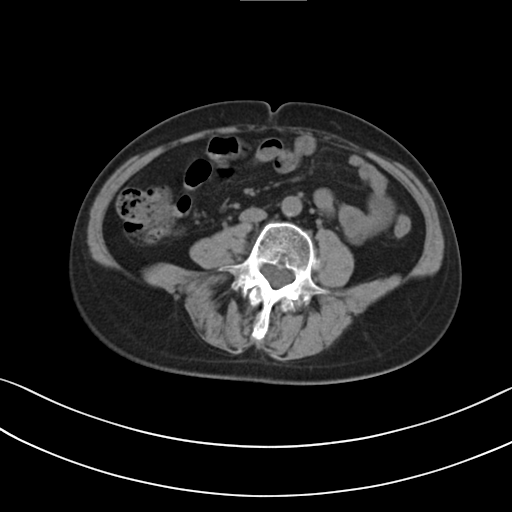
Multiphase abdominal CT, liver, non-contrast phase.
Patient: female, age 61.
History: prior chemotherapy.